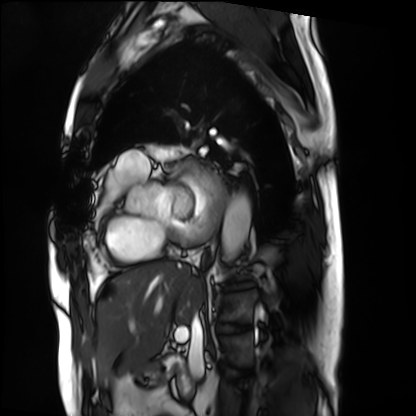
Q: What kind of scan is this?
A: Cardiac MRI.
Subject group: patient.